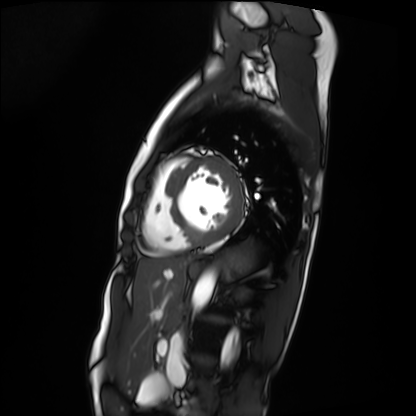
{
  "modality": "cardiac MRI",
  "cohort": "patient"
}